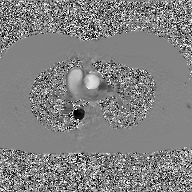
– modality · 2D phase-contrast cine MRI of the ascending aorta, GAN super-resolution reconstruction